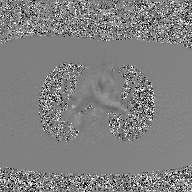
Summary:
2D phase-contrast cine MRI of the ascending aorta, GAN super-resolution reconstruction.